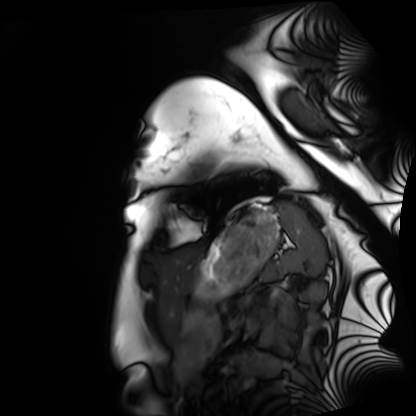
Clinical context:
Cardiac MRI. Subject group: healthy volunteer.